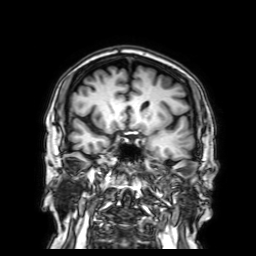
3 Tesla brain MRI.
Study: ring-enhancing brain masses.